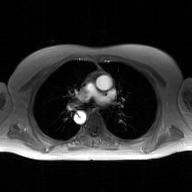
2D phase-contrast cine MRI of the ascending aorta, GAN super-resolution reconstruction.